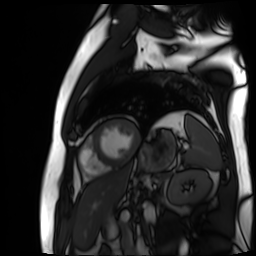
- modality — cardiac MR image of the myocardium
- subject cohort — cardiac patient